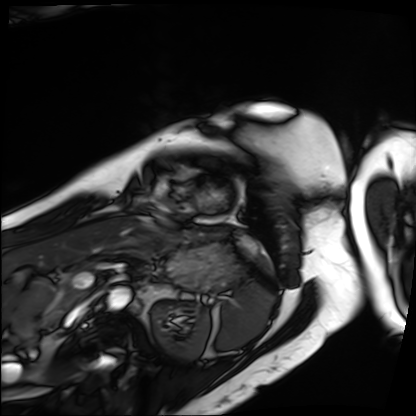
modality: cardiac MRI; subject group: patient.